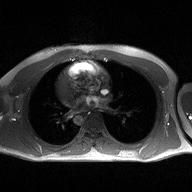
Summary: 2D phase-contrast cine MRI of the ascending aorta, high-resolution GRAPPA acquisition.